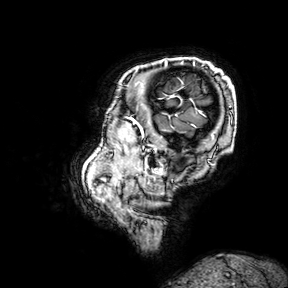
modality:
  type: brain MRI
  field_strength: 3T
series: 3D T1-weighted turbo field echo with SENSE
study_topic: ring-enhancing brain masses